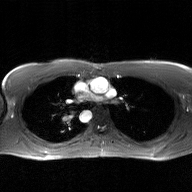
2D phase-contrast cine MRI of the ascending aorta, GAN super-resolution reconstruction.